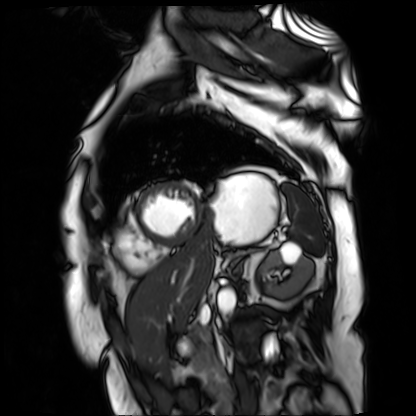
Cardiac MR image of the myocardium.
Subject cohort: cardiac patient.